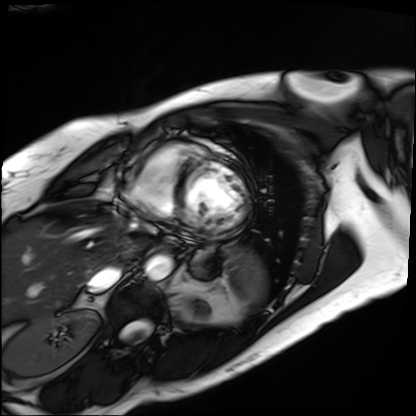
Summary:
Cardiac MRI. Subject group: patient.